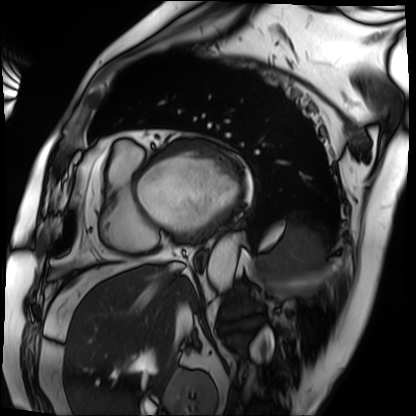
Case summary: Cardiac MRI. Subject group: patient.